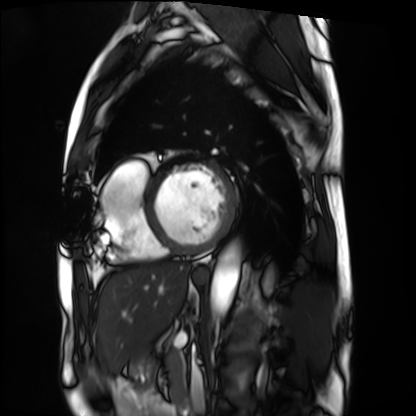
Summary:
Cardiac MRI. Subject group: patient.